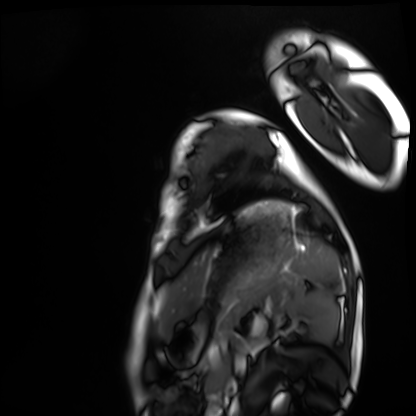
Case summary: Cardiac MRI. Subject group: healthy volunteer.